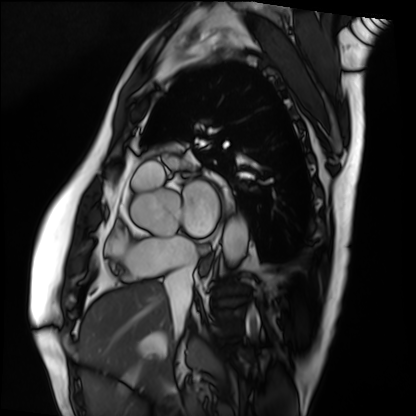
Cardiac MRI. Subject group: patient.